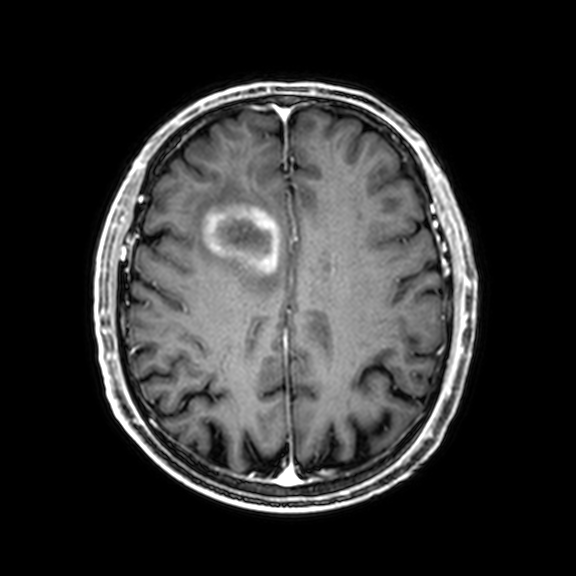
3 Tesla brain MRI. Series: 3D T1-weighted with CLEAR. Study: ring-enhancing brain masses.